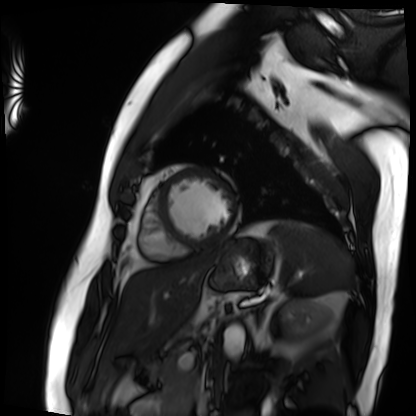
Summary:
Cardiac MRI. Subject group: patient.